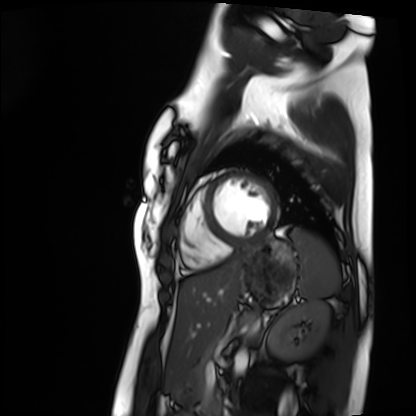
Cardiac MRI.
Subject group: healthy volunteer.